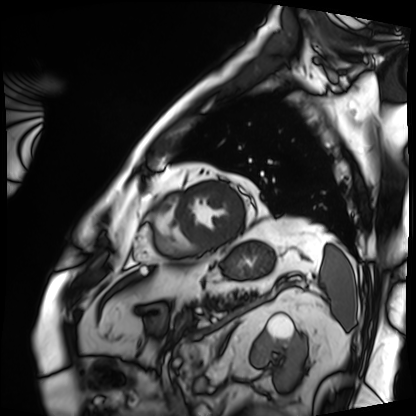
Case:
- modality · cardiac MRI
- subject group · patient